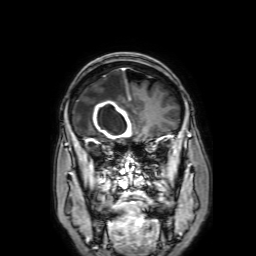
modality=3 Tesla brain MRI
series=3D T1-weighted with SENSE
study=ring-enhancing brain masses